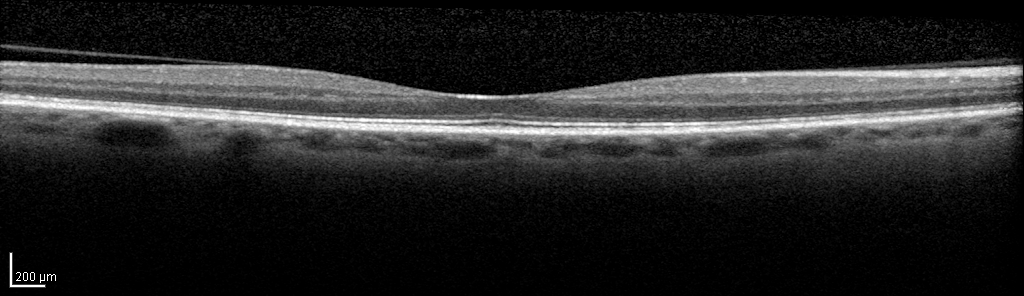
Findings: Spectral-domain optical coherence tomography (SD-OCT) of the macula. Subject: female, age 62, right eye. Cohort: non-diabetic control. ETDRS-grid retinal thickness (μm): central 239, inner temporal 306, inner nasal 321, inner superior 321, inner inferior 320, outer temporal 268, outer nasal 290, outer superior 281, outer inferior 298.